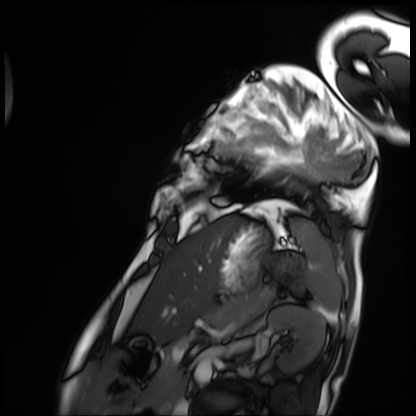
<study>
  <modality>cardiac MRI</modality>
  <cohort>patient</cohort>
</study>